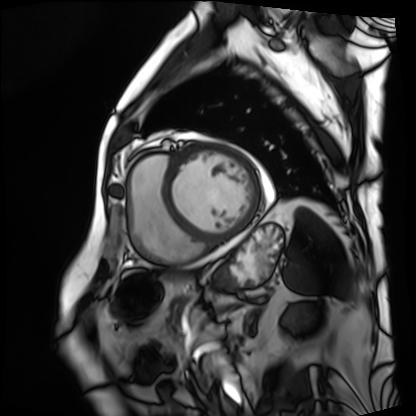
Q: What kind of scan is this?
A: Cardiac MRI.
Subject group: patient.